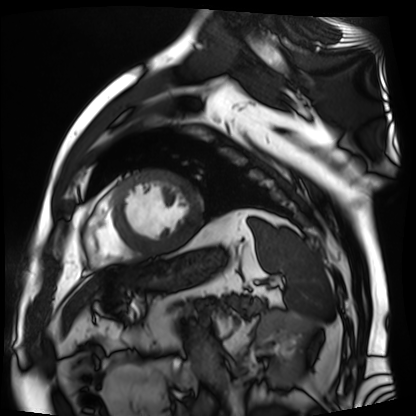
Cardiac MR image of the myocardium.
Subject cohort: cardiac patient.